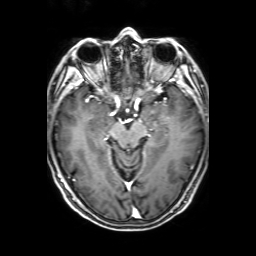
Case:
– modality: 3 Tesla brain MRI
– series: 3D T1-weighted with SENSE
– study: ring-enhancing brain masses